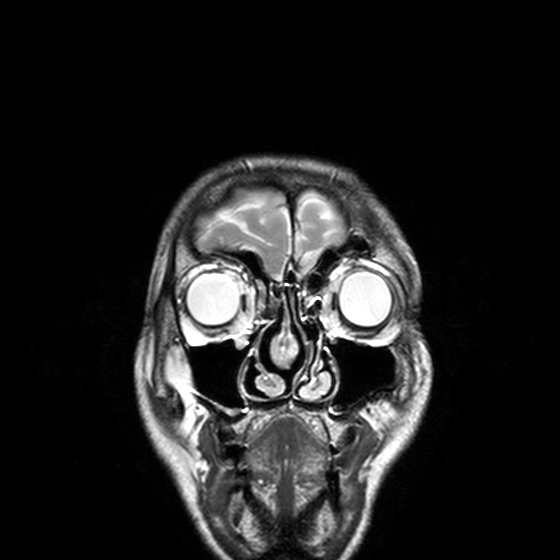
Case:
• modality · 3 Tesla brain MRI
• study · ring-enhancing brain masses